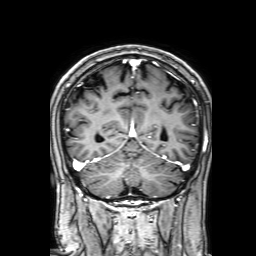
{
  "modality": {
    "type": "brain MRI",
    "field_strength": "3T"
  },
  "series": "3D T1-weighted with SENSE",
  "study_topic": "ring-enhancing brain masses"
}